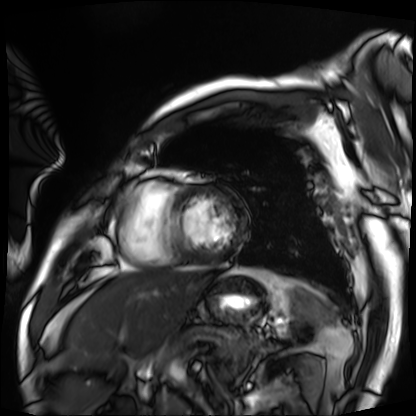
Summary:
Cardiac MRI. Subject group: patient.